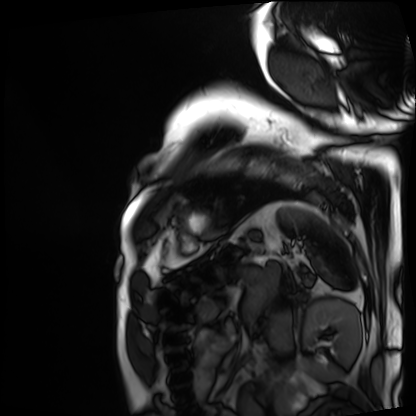
modality = cardiac MRI
subject group = patient